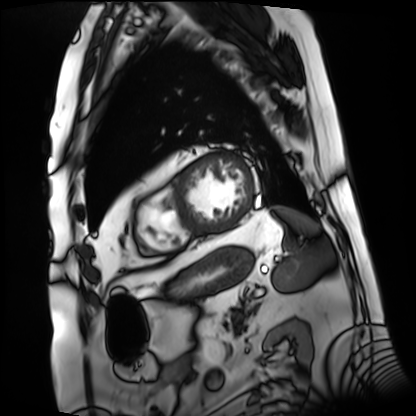
Summary:
Cardiac MRI. Subject group: patient.